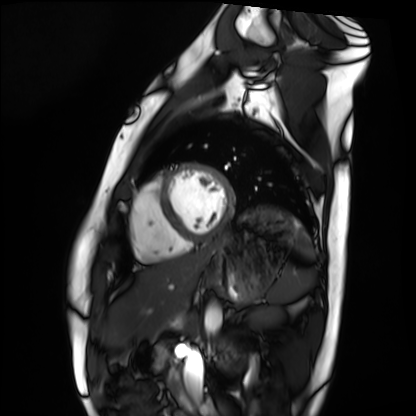
modality: cardiac MRI
subject group: healthy volunteer